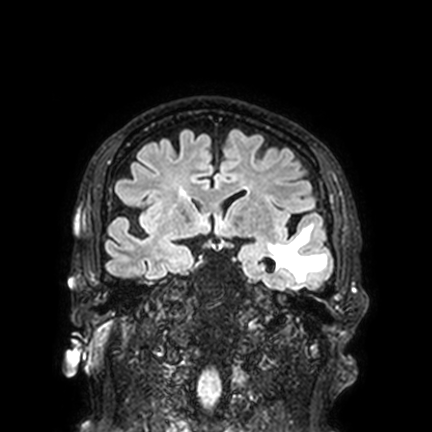
3 Tesla brain MRI.
Series: FLAIR VISTA with SENSE.
Study: ring-enhancing brain masses.